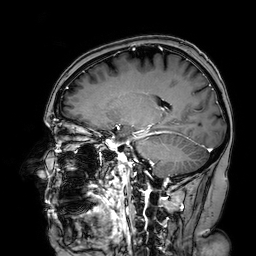
modality:
  type: brain MRI
  field_strength: 3T
series: 3D T1-weighted turbo field echo with SENSE
study_topic: ring-enhancing brain masses